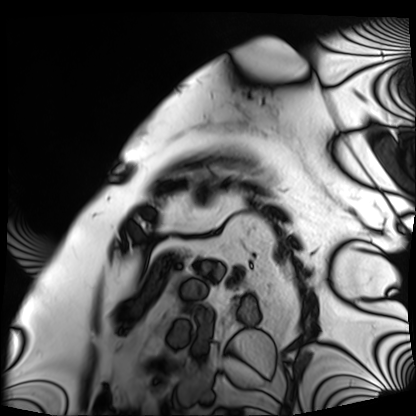
Cardiac MRI.
Subject group: patient.